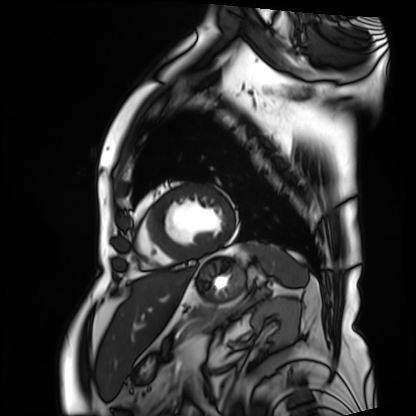
Summary: Cardiac MRI. Subject group: patient.